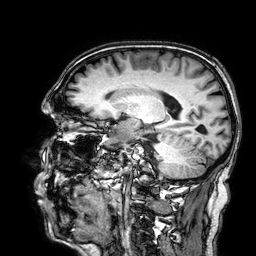
modality: 3 Tesla brain MRI; study: ring-enhancing brain masses.